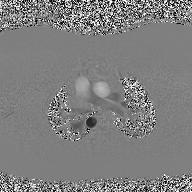
Case summary: 2D phase-contrast cine MRI of the ascending aorta, high-resolution GRAPPA acquisition.